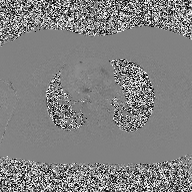
Case summary:
2D phase-contrast cine MRI of the ascending aorta, high-resolution GRAPPA acquisition.